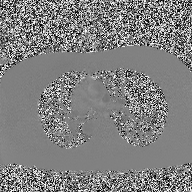
2D phase-contrast cine MRI of the ascending aorta, high-resolution GRAPPA acquisition.